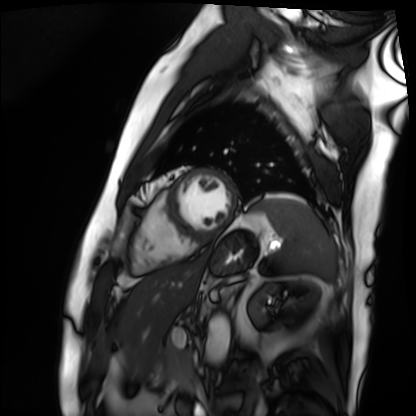
Cardiac MRI.
Subject group: patient.